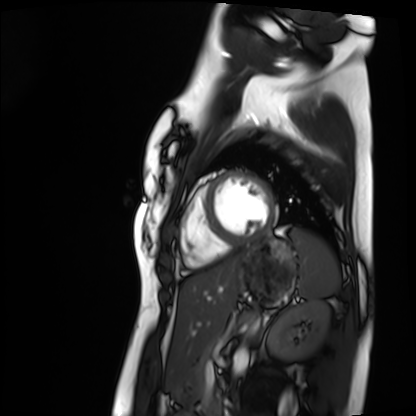
modality: cardiac MRI
cohort: healthy volunteer